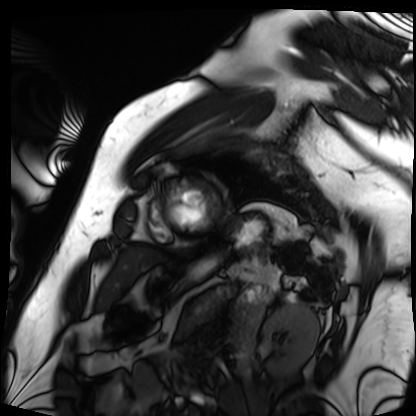
modality=cardiac MRI | subject group=patient.